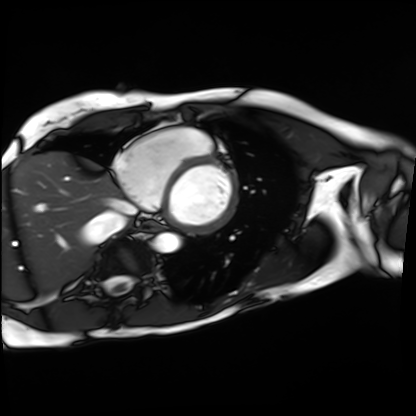
modality: cardiac MRI | subject group: patient.